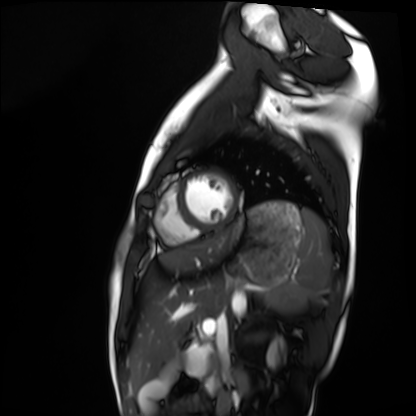
Case summary:
Cardiac MRI. Subject group: healthy volunteer.